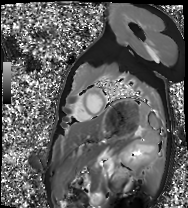
Summary: Cardiac MRI. Subject group: healthy volunteer.